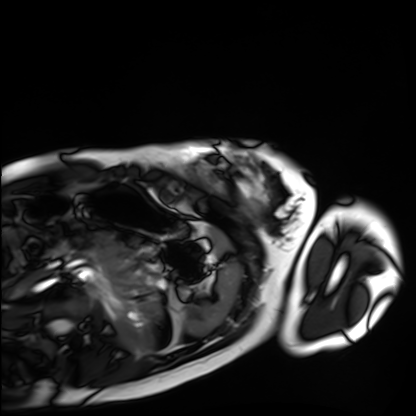
Case summary: Cardiac MRI. Subject group: healthy volunteer.